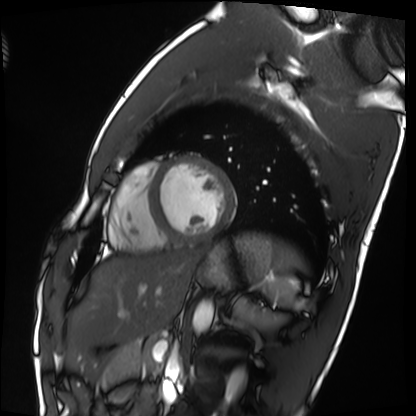
Clinical context: Cardiac MRI. Subject group: healthy volunteer.